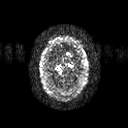
3 Tesla brain MRI. Series: diffusion tensor imaging (medium iso). Study: ring-enhancing brain masses.